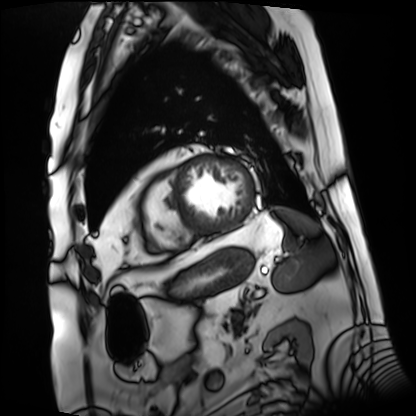
<case>
<modality>cardiac MRI</modality>
<cohort>patient</cohort>
</case>